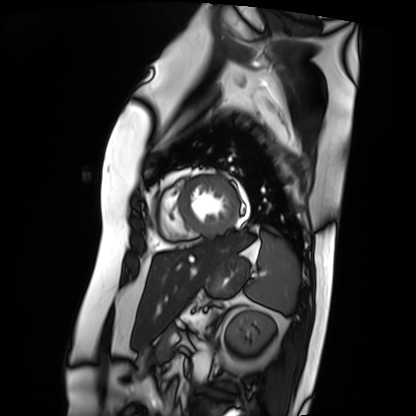
Summary:
Cardiac MRI. Subject group: patient.